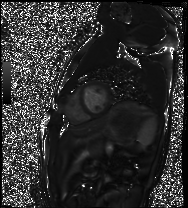
Summary:
Cardiac MRI. Subject group: healthy volunteer.